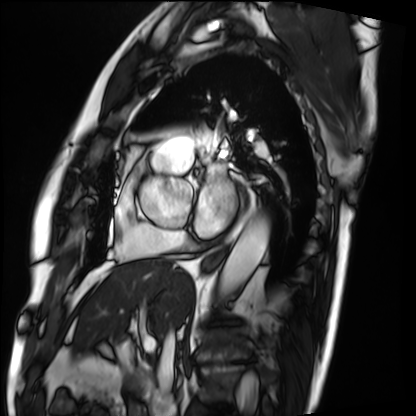
{
  "modality": "cardiac MRI",
  "cohort": "patient"
}